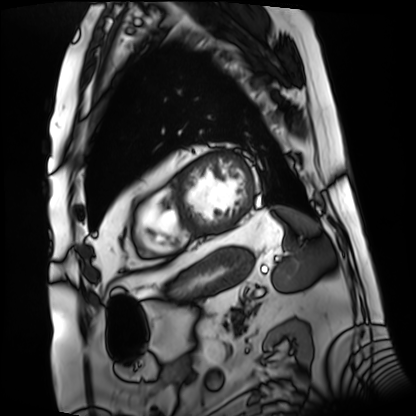
Summary:
Cardiac MRI. Subject group: patient.